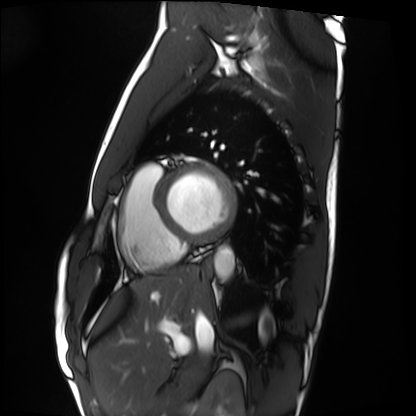
modality: cardiac MRI
subject group: healthy volunteer